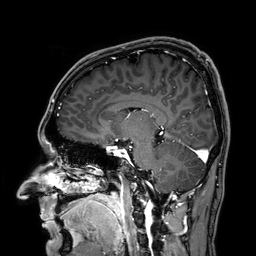
Q: What kind of scan is this?
A: 3 Tesla brain MRI.
Q: Series?
A: 3D T1-weighted.
Study: ring-enhancing brain masses.